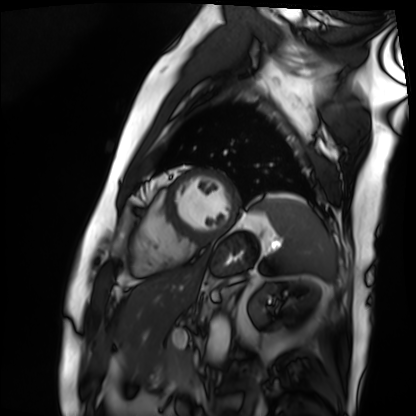
modality = cardiac MRI | subject group = patient.